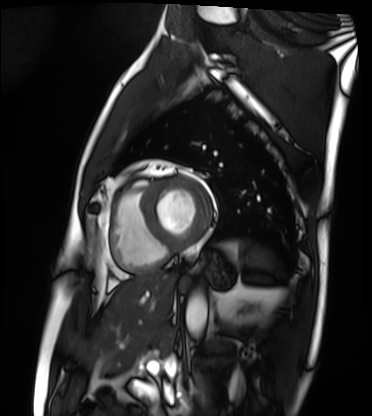
Cardiac MRI.
Subject group: patient.